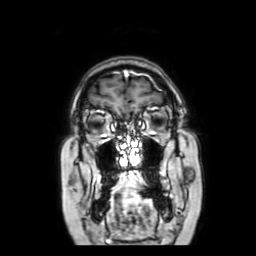
Summary:
3 Tesla brain MRI. Series: coronal with contrast. Study: ring-enhancing brain masses.